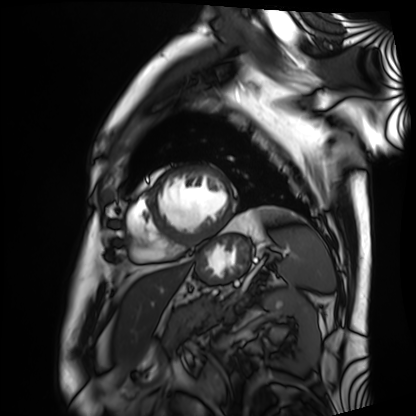
modality=cardiac MRI
subject group=patient